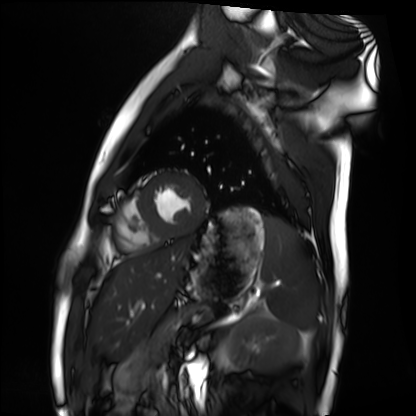
modality = cardiac MRI, subject group = healthy volunteer.